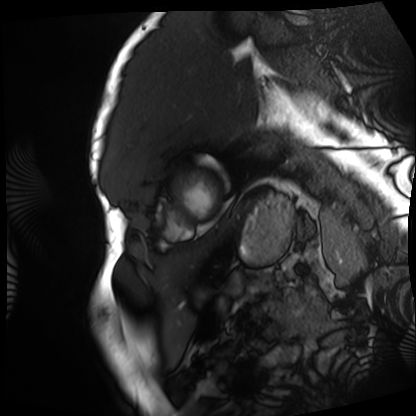
Case summary: Cardiac MRI. Subject group: patient.